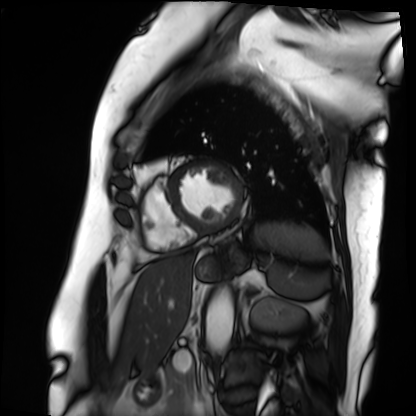
Clinical context: Cardiac MRI. Subject group: patient.